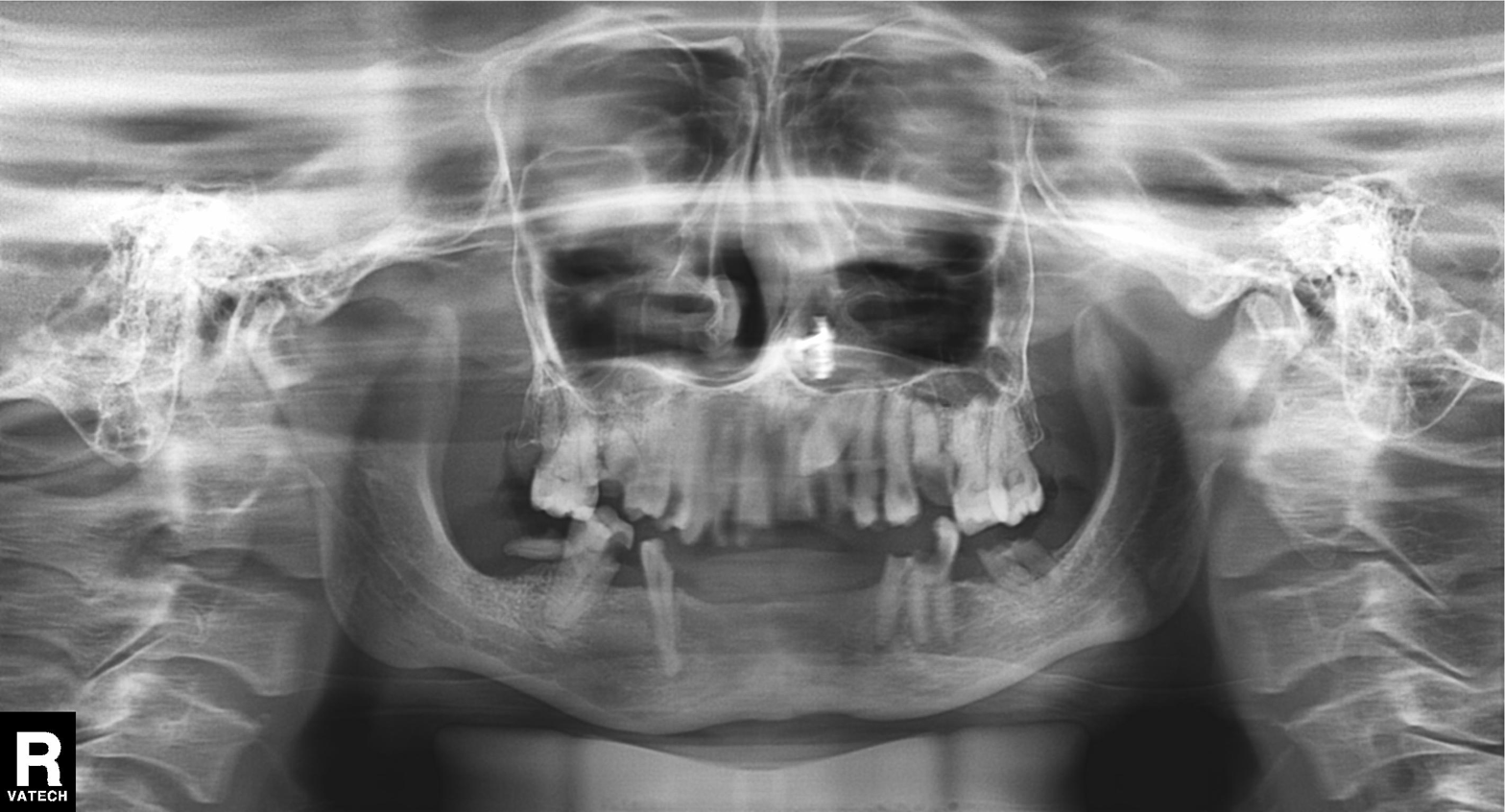
Panoramic dental radiograph (orthopantomogram). Finding: tooth impaction.